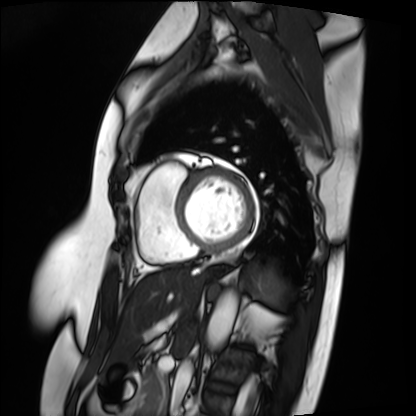
Cardiac MRI. Subject group: patient.